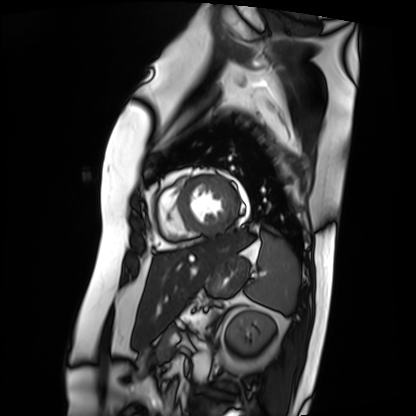
Cardiac MRI. Subject group: patient.